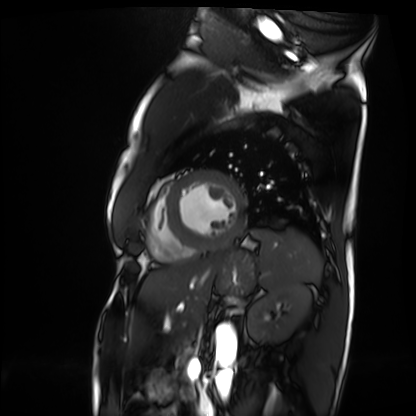
Cardiac MRI.
Subject group: patient.